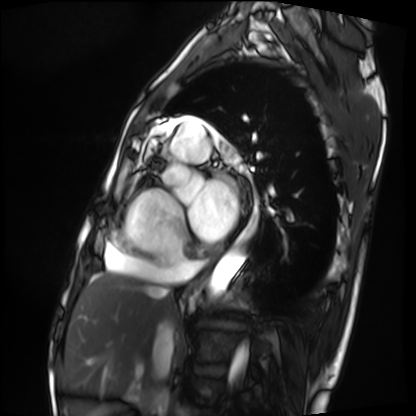
Clinical context: Cardiac MRI. Subject group: patient.